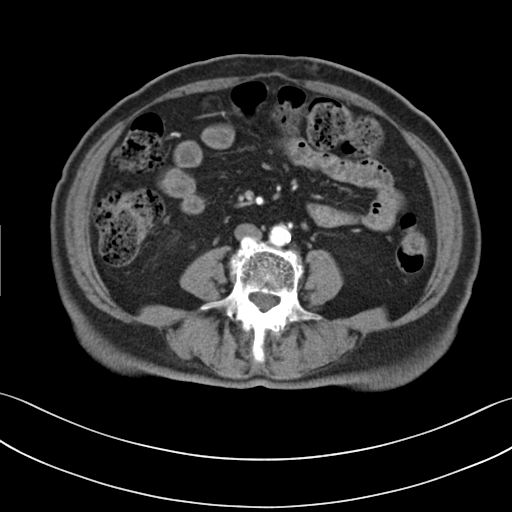
Multiphase abdominal CT, liver, arterial phase.
Patient: female, age 72.